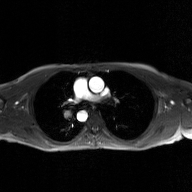
{
  "modality": {
    "type": "2D phase-contrast cine MRI",
    "region": "ascending aorta",
    "reconstruction": "GAN super-resolution reconstruction"
  }
}